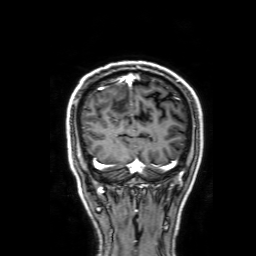
<case>
  <modality>
    <type>brain MRI</type>
    <field_strength>3T</field_strength>
  </modality>
  <series>3D T1-weighted with SENSE</series>
  <study_topic>ring-enhancing brain masses</study_topic>
</case>